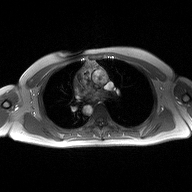
* modality — 2D phase-contrast cine MRI of the ascending aorta